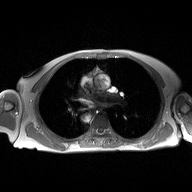
* modality · 2D phase-contrast cine MRI of the ascending aorta